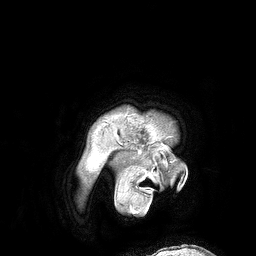
– modality: 3 Tesla brain MRI
– series: 3D T1-weighted turbo field echo
– study: ring-enhancing brain masses